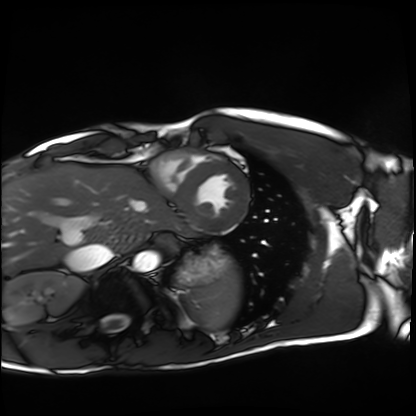
modality: cardiac MRI, subject group: healthy volunteer.